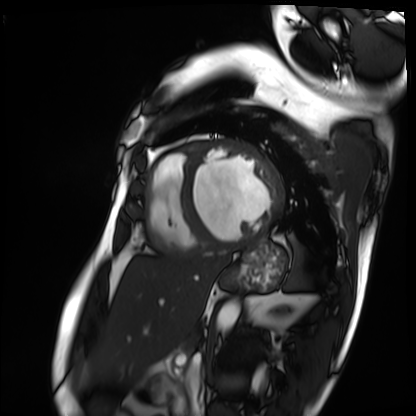
Q: What kind of scan is this?
A: Cardiac MRI.
Subject group: patient.